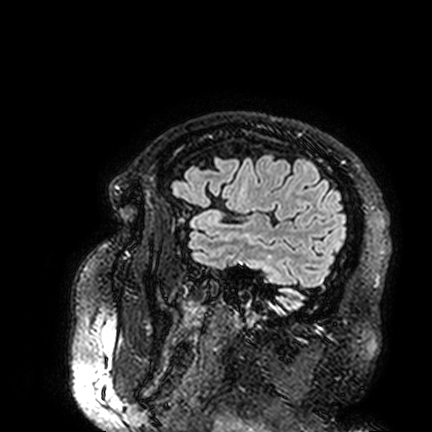
Summary:
3 Tesla brain MRI. Series: FLAIR VISTA. Study: ring-enhancing brain masses.